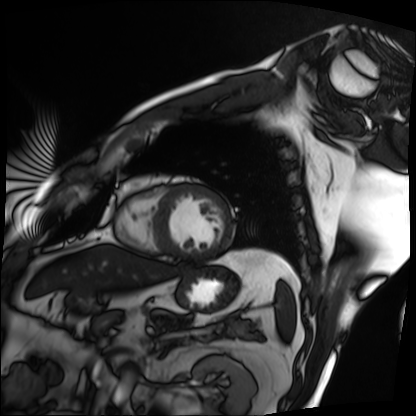
Summary:
Cardiac MRI. Subject group: patient.